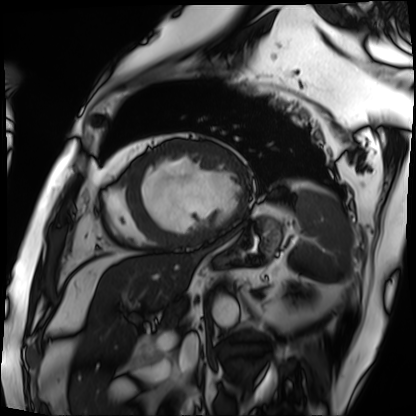
– modality · cardiac MRI
– subject group · patient